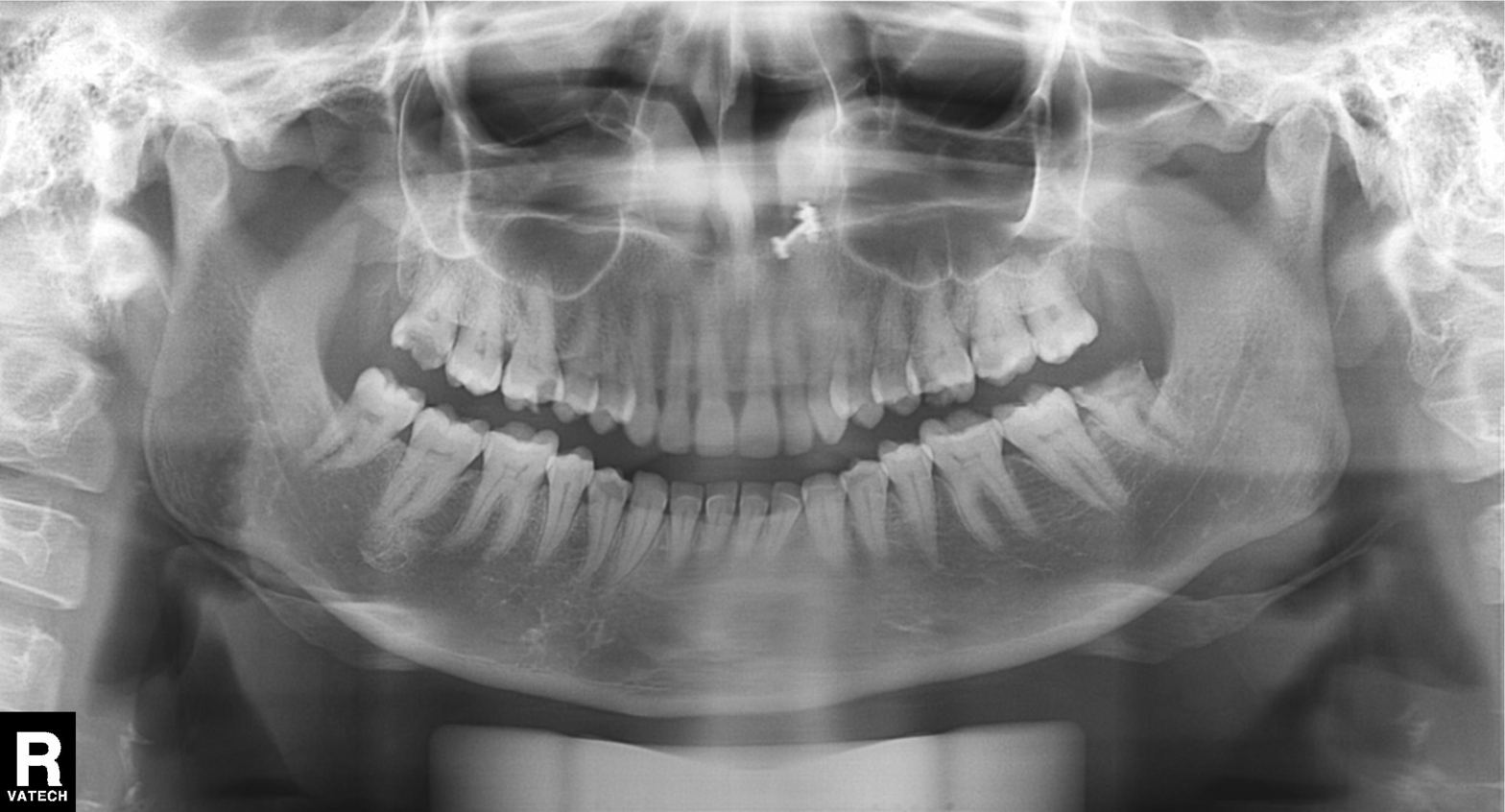
Summary:
Panoramic dental radiograph (orthopantomogram).
Diagnosis:
Dental caries (cavities).